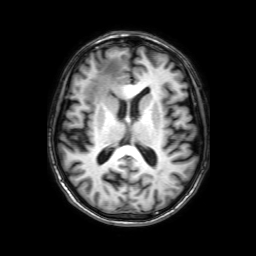
Q: What kind of scan is this?
A: 3 Tesla brain MRI.
Q: Series?
A: 3D T1-weighted with SENSE.
Study: ring-enhancing brain masses.